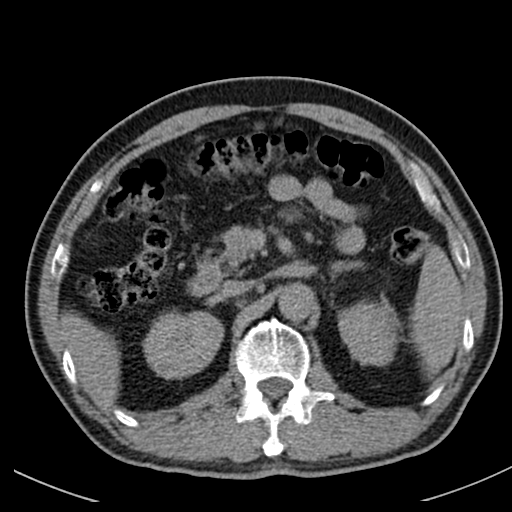
Q: What kind of scan is this?
A: Multiphase abdominal CT, liver, non-contrast phase.
Q: Patient?
A: Male, age 64.